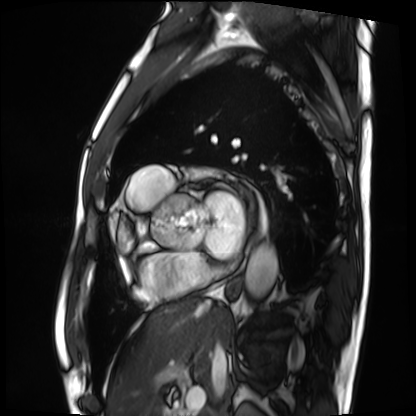
modality: cardiac MRI; subject group: patient.